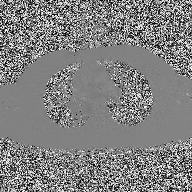
2D phase-contrast cine MRI of the ascending aorta, high-resolution GRAPPA acquisition.